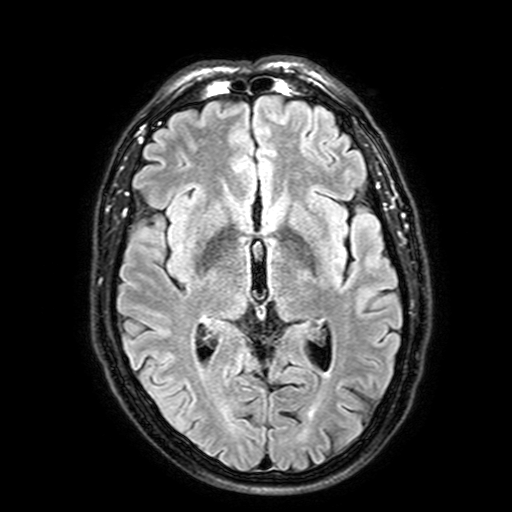
3 Tesla brain MRI.
Series: FLAIR with SPAIR, 3 mm.
Study: ring-enhancing brain masses.